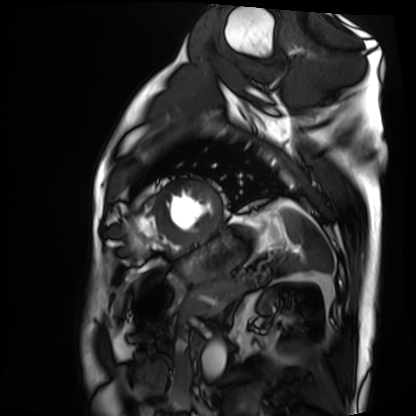
Cardiac MRI.
Subject group: patient.